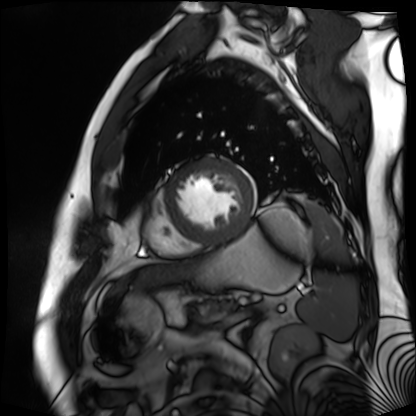
Cardiac MR image of the myocardium. Subject cohort: cardiac patient.